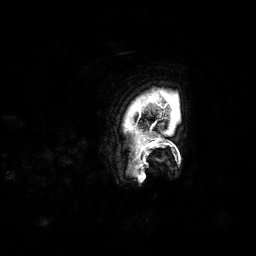
{"modality": {"type": "brain MRI", "field_strength": "3T"}, "series": "3D T1-weighted", "study_topic": "ring-enhancing brain masses"}